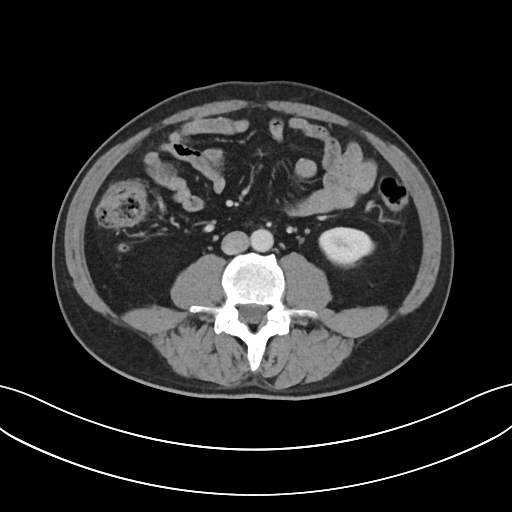
Case summary:
Multiphase abdominal CT, liver, portal venous phase. Patient: male, age 51. History: prior chemotherapy.